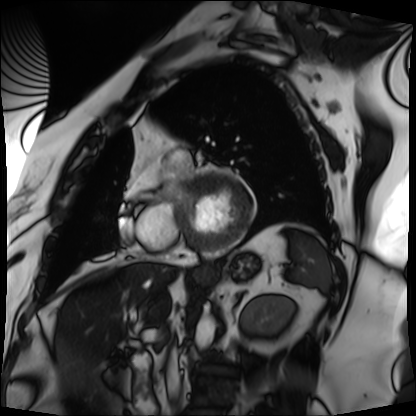
Cardiac MRI.
Subject group: patient.